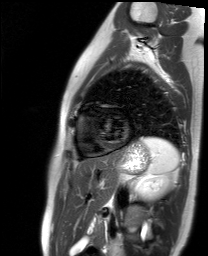
<case>
<modality>cardiac MR image of the myocardium</modality>
<cohort>healthy volunteer</cohort>
</case>